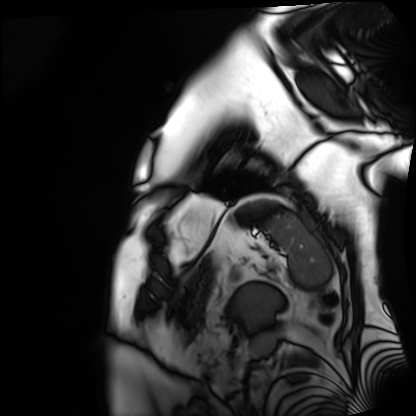
Case:
* modality · cardiac MRI
* subject group · patient